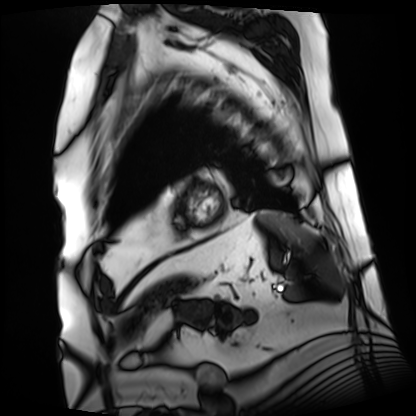
Case summary:
Cardiac MRI. Subject group: patient.